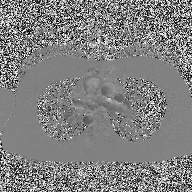
2D phase-contrast cine MRI of the ascending aorta, high-resolution GRAPPA acquisition.